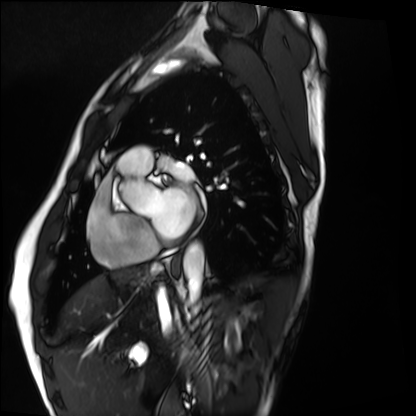
modality: cardiac MRI
subject group: healthy volunteer